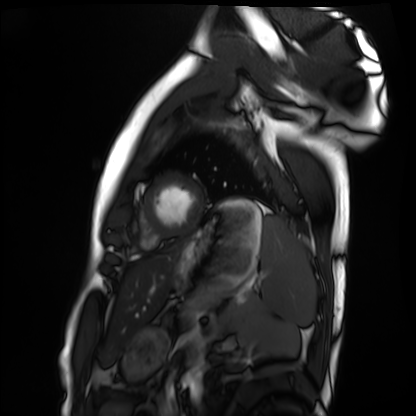
<study>
  <modality>cardiac MRI</modality>
  <cohort>healthy volunteer</cohort>
</study>